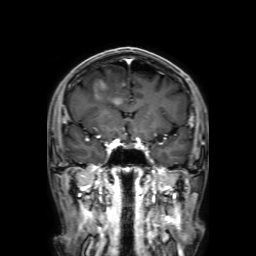
Q: What kind of scan is this?
A: 3 Tesla brain MRI.
Q: Series?
A: 3D T1-weighted with SENSE.
Study: ring-enhancing brain masses.